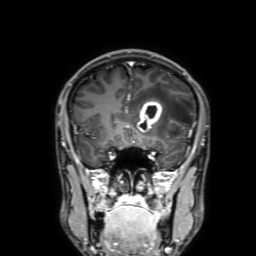
Clinical context:
3 Tesla brain MRI. Series: 3D T1-weighted with SENSE. Study: ring-enhancing brain masses.